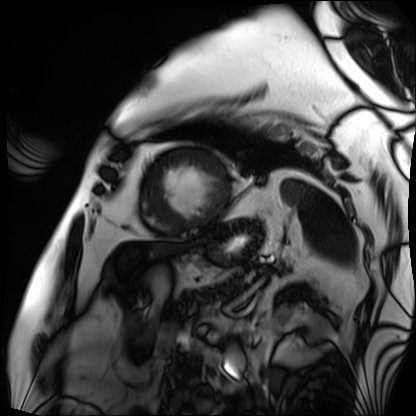
Case summary: Cardiac MRI. Subject group: patient.